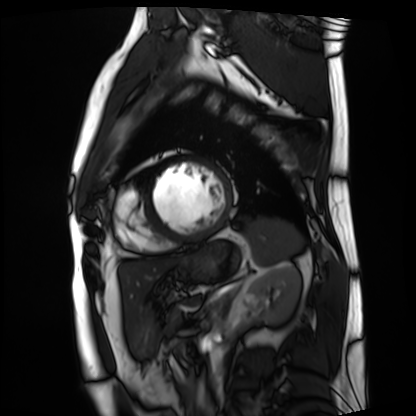
Q: What kind of scan is this?
A: Cardiac MRI.
Subject group: patient.